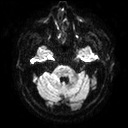
Case summary: 3 Tesla brain MRI. Series: diffusion tensor imaging (medium iso). Study: ring-enhancing brain masses.